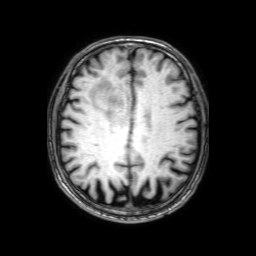
{"modality": {"type": "brain MRI", "field_strength": "3T"}, "series": "3D T1-weighted with SENSE", "study_topic": "ring-enhancing brain masses"}